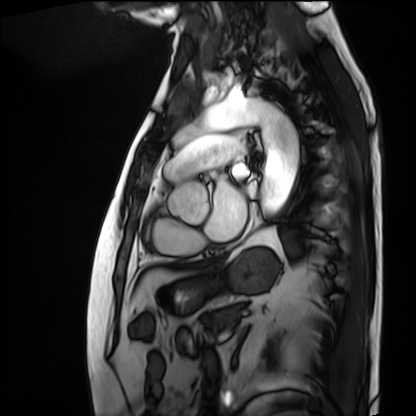
Cardiac MRI. Subject group: patient.